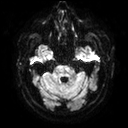
Summary:
3 Tesla brain MRI. Series: diffusion tensor imaging (medium iso). Study: ring-enhancing brain masses.